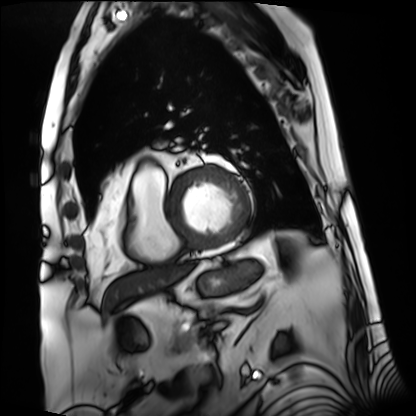
Cardiac MRI. Subject group: patient.